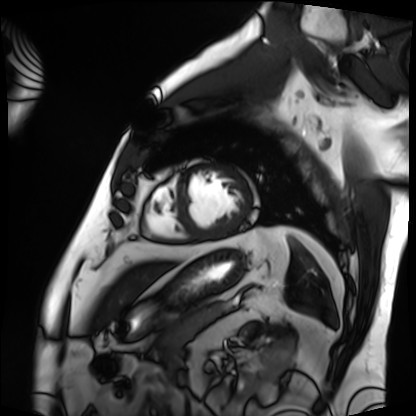
– modality — cardiac MRI
– subject group — patient